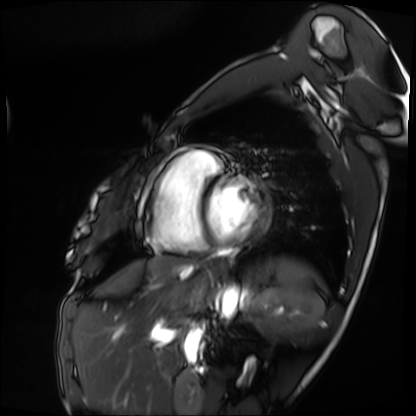
Cardiac MRI. Subject group: patient.